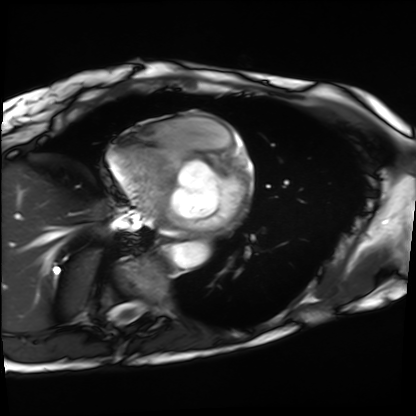
Cardiac MRI. Subject group: patient.